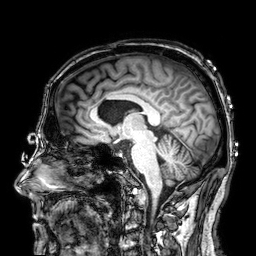
| field | value |
|---|---|
| modality | 3 Tesla brain MRI |
| series | 3D T1-weighted |
| study | ring-enhancing brain masses |